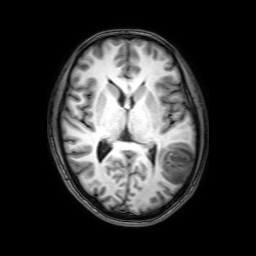
3 Tesla brain MRI.
Series: 3D T1-weighted with SENSE.
Study: ring-enhancing brain masses.